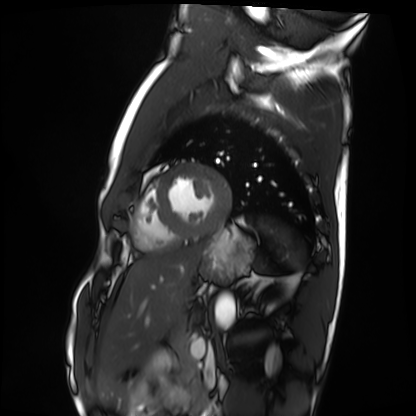
Q: What kind of scan is this?
A: Cardiac MRI.
Subject group: healthy volunteer.